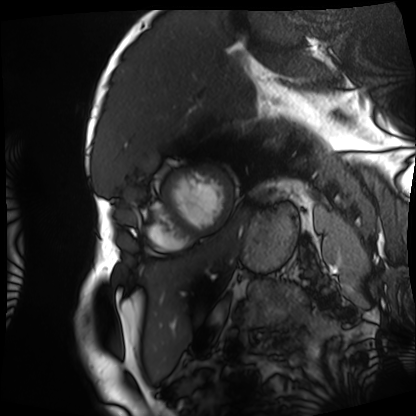
Case summary:
Cardiac MRI. Subject group: patient.